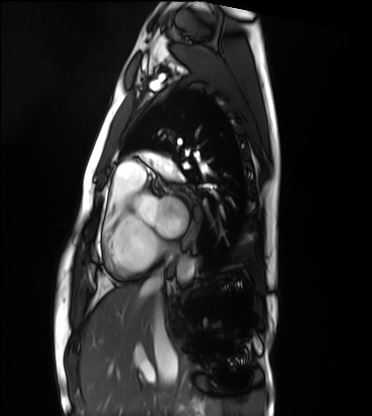
Cardiac MRI.
Subject group: healthy volunteer.